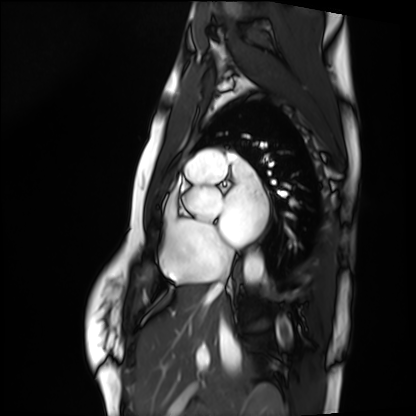
modality = cardiac MRI; subject group = healthy volunteer.